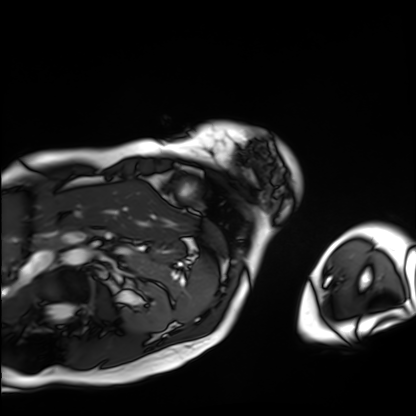
<case>
  <modality>cardiac MRI</modality>
  <cohort>patient</cohort>
</case>